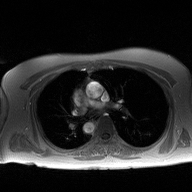
modality: 2D phase-contrast cine MRI of the ascending aorta.